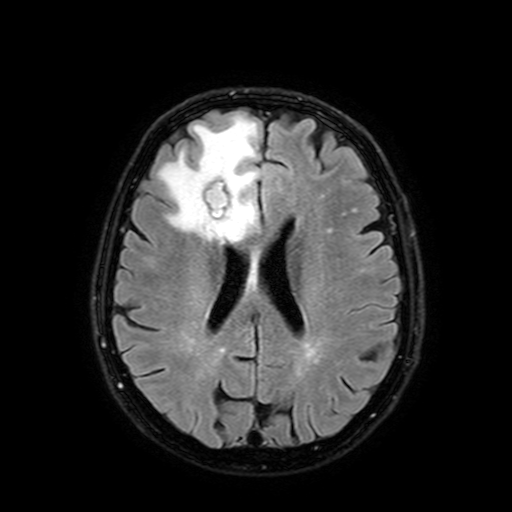
{"modality": {"type": "brain MRI", "field_strength": "3T"}, "series": "FLAIR with SPAIR, 3 mm", "study_topic": "ring-enhancing brain masses"}